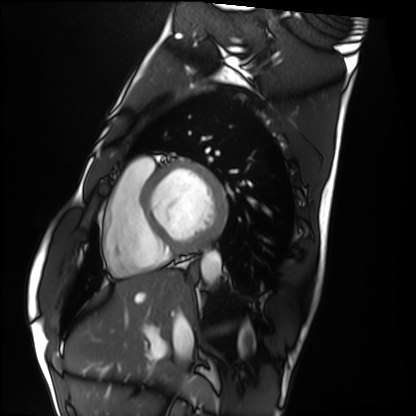
Cardiac MRI. Subject group: healthy volunteer.